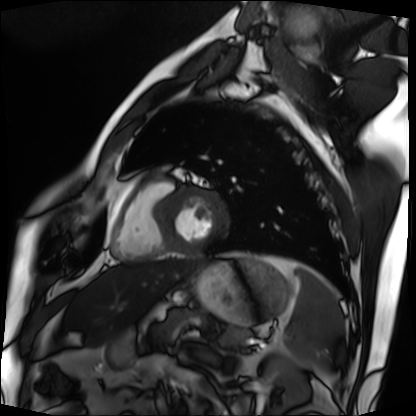
modality: cardiac MRI | subject group: patient.